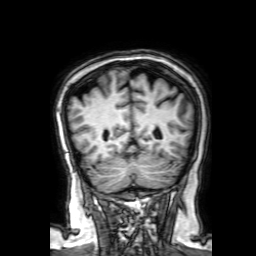
modality: 3 Tesla brain MRI
series: 3D T1-weighted with SENSE
study: ring-enhancing brain masses